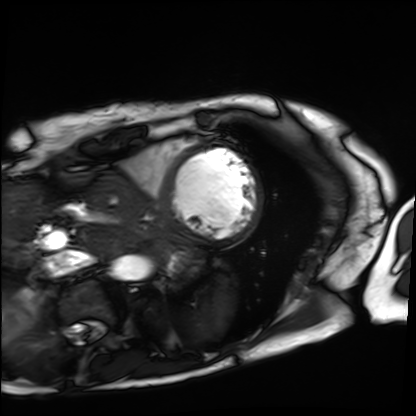
Cardiac MRI. Subject group: patient.